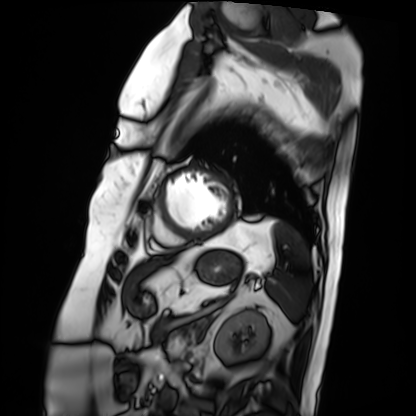
Cardiac MRI. Subject group: patient.